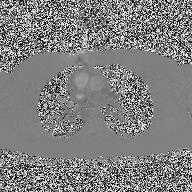
Case:
– modality — 2D phase-contrast cine MRI of the ascending aorta